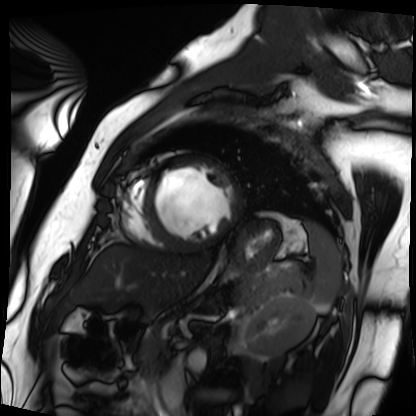
| field | value |
|---|---|
| modality | cardiac MRI |
| subject group | patient |